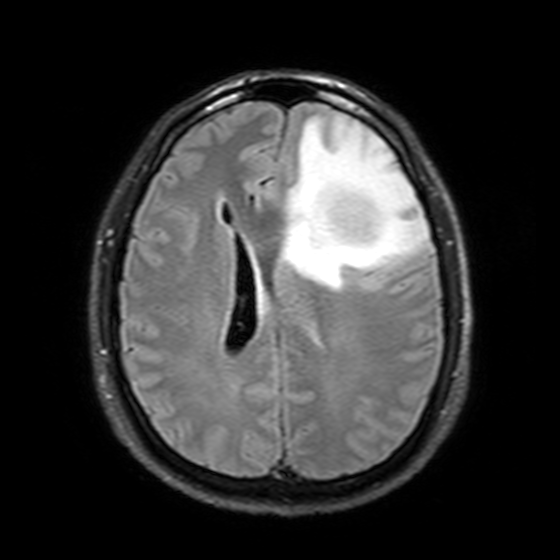
Clinical context:
3 Tesla brain MRI. Series: T2-weighted FLAIR. Study: ring-enhancing brain masses.